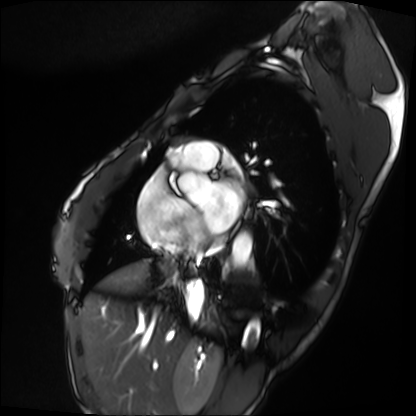
Cardiac MRI. Subject group: patient.